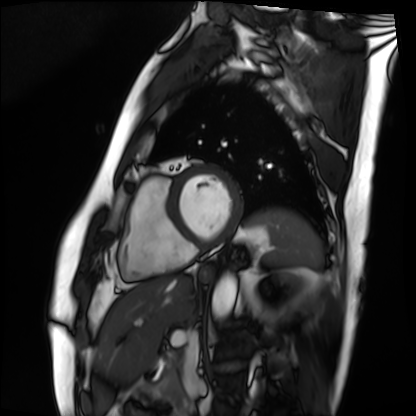
<study>
<modality>cardiac MRI</modality>
<cohort>patient</cohort>
</study>